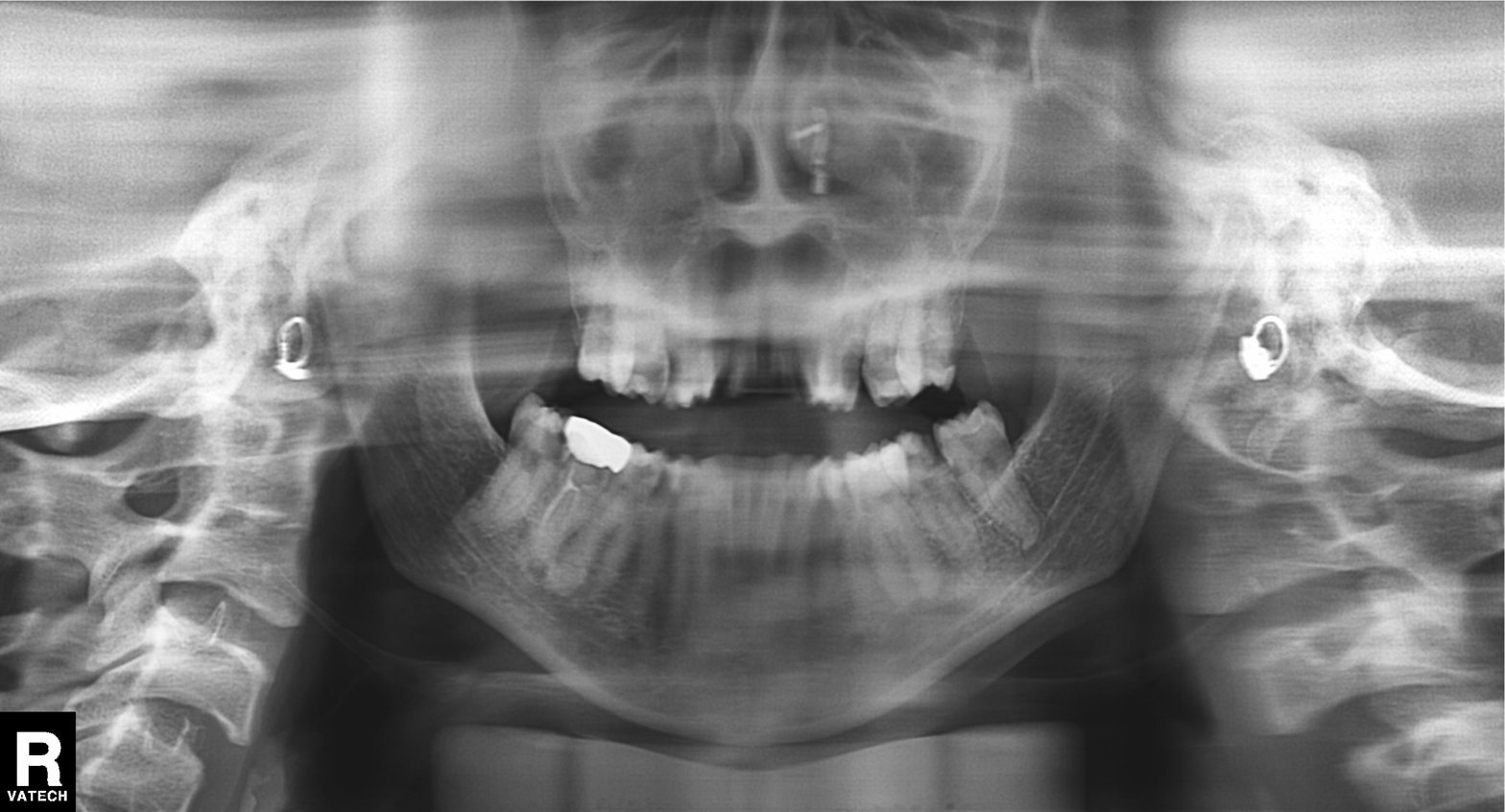
Panoramic dental radiograph (orthopantomogram).
Finding: dental caries (cavities).